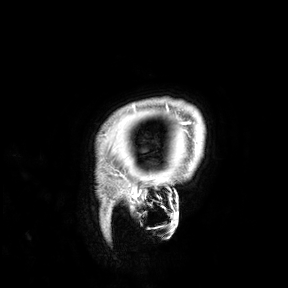
3 Tesla brain MRI.
Study: ring-enhancing brain masses.